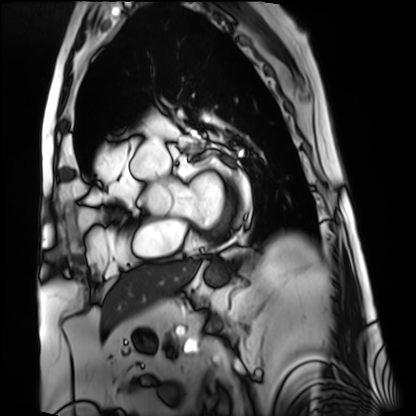
modality: cardiac MRI, subject group: patient.